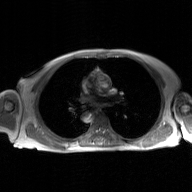
2D phase-contrast cine MRI of the ascending aorta, GAN super-resolution reconstruction.